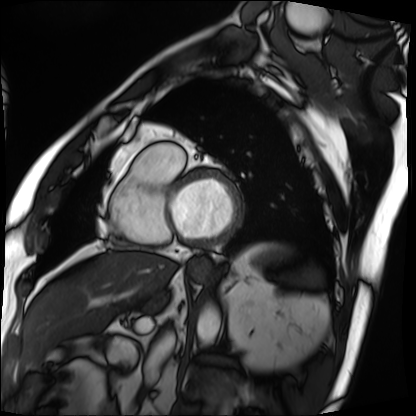
Cardiac MRI. Subject group: patient.